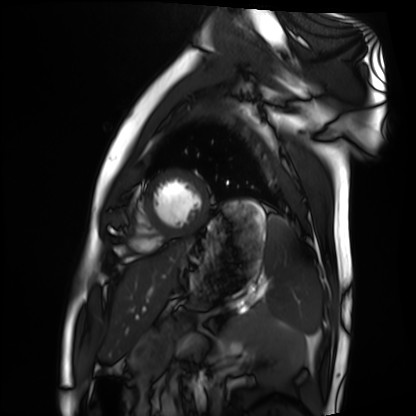
Clinical context:
Cardiac MRI. Subject group: healthy volunteer.